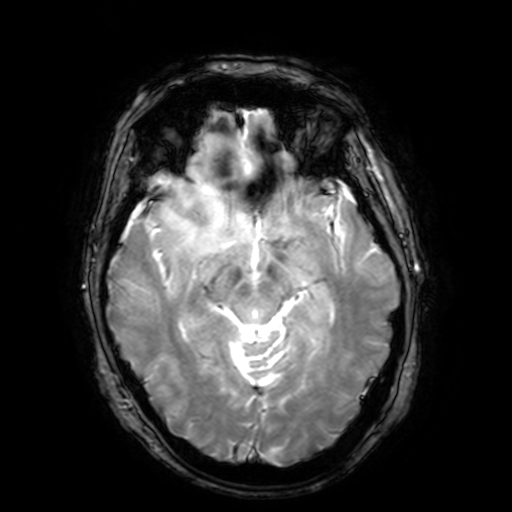
Q: What kind of scan is this?
A: 3 Tesla brain MRI.
Q: Series?
A: T2-weighted fast field echo with SENSE.
Study: ring-enhancing brain masses.